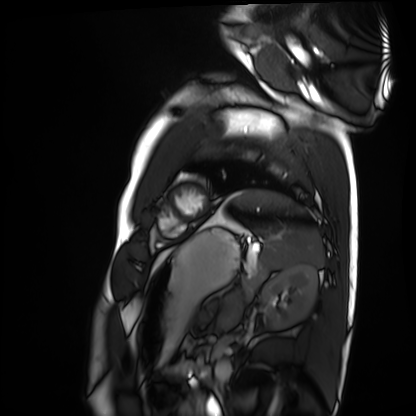
Summary:
Cardiac MRI. Subject group: healthy volunteer.